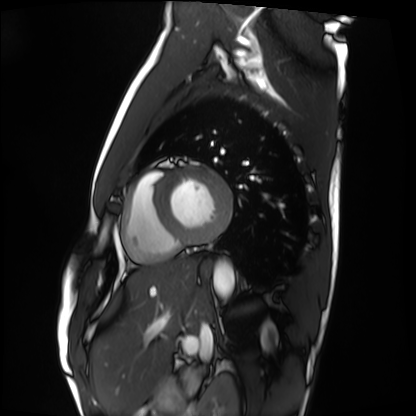
Clinical context:
Cardiac MRI. Subject group: healthy volunteer.